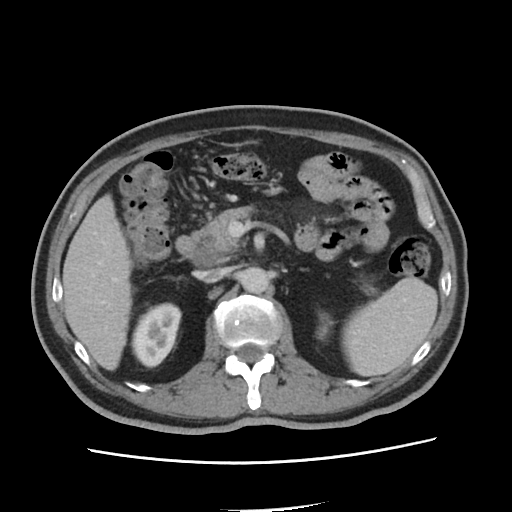
Summary:
Multiphase abdominal CT, liver, portal venous phase. Patient: male, age 65. History: viral hepatitis.